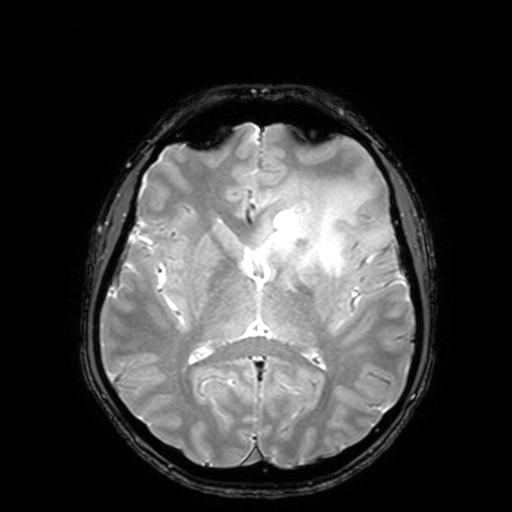
• modality · 3 Tesla brain MRI
• study · ring-enhancing brain masses